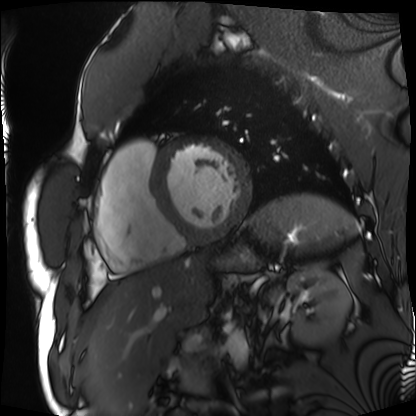
Summary: Cardiac MRI. Subject group: patient.